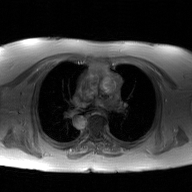
<record>
<modality>
  <type>2D phase-contrast cine MRI</type>
  <region>ascending aorta</region>
  <reconstruction>GAN super-resolution reconstruction</reconstruction>
</modality>
</record>